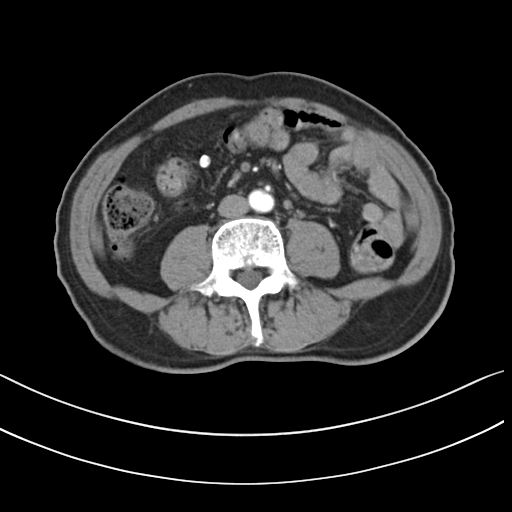
Multiphase abdominal CT, liver, arterial phase. Patient: male, age 72. History: prior chemotherapy.